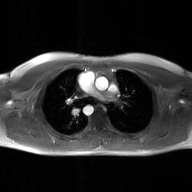
Q: What kind of scan is this?
A: 2D phase-contrast cine MRI of the ascending aorta, GAN super-resolution reconstruction.